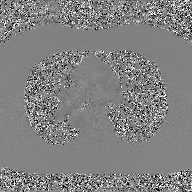
Summary: 2D phase-contrast cine MRI of the ascending aorta, GAN super-resolution reconstruction.